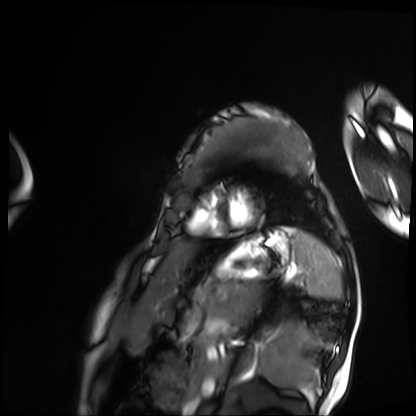
Case:
– modality: cardiac MRI
– subject group: patient